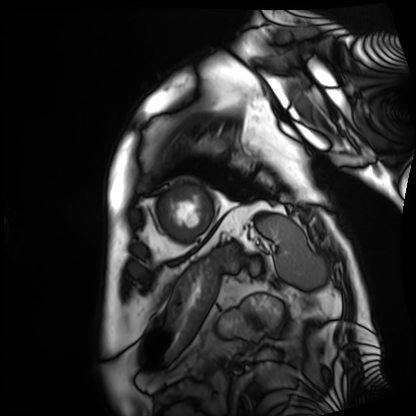
Cardiac MRI.
Subject group: patient.